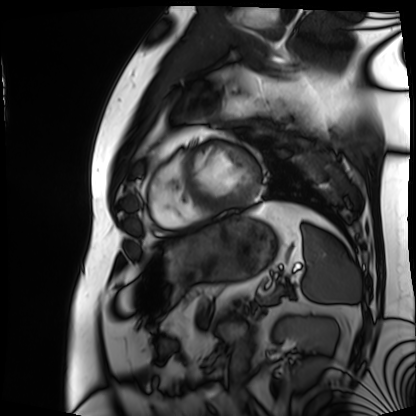
<record>
  <modality>cardiac MRI</modality>
  <cohort>patient</cohort>
</record>